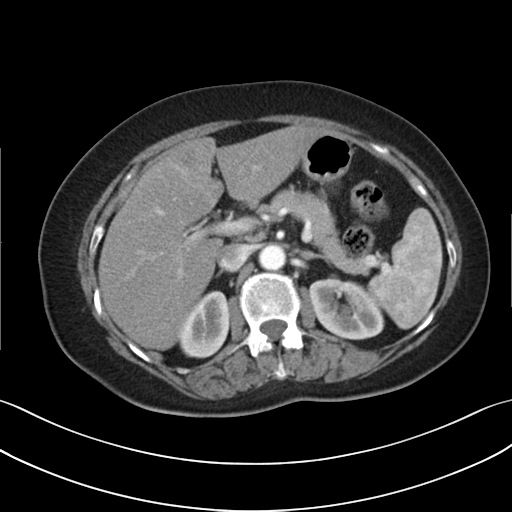
Summary:
Multiphase abdominal CT, liver, arterial phase. Patient: female, age 64. History: prior chemotherapy.